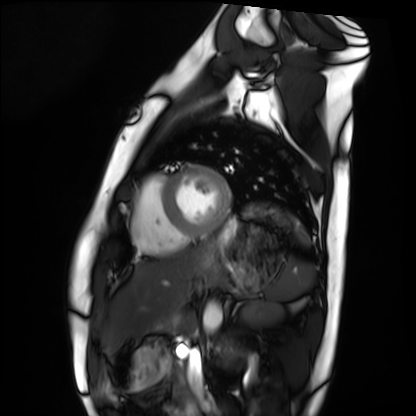
  modality: cardiac MRI
  cohort: healthy volunteer